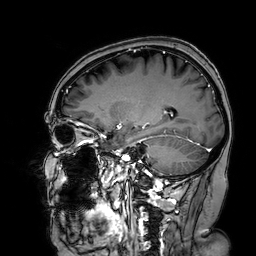
modality: 3 Tesla brain MRI
series: 3D T1-weighted turbo field echo with SENSE
study: ring-enhancing brain masses